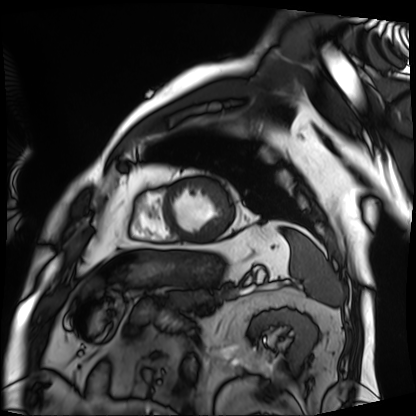
<scan>
<modality>cardiac MRI</modality>
<cohort>patient</cohort>
</scan>